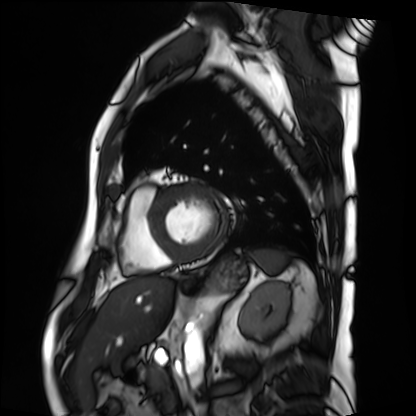
Cardiac MRI.
Subject group: patient.